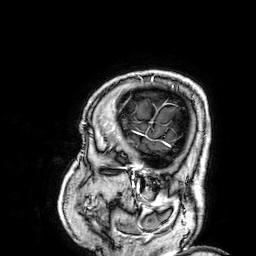
3 Tesla brain MRI. Series: 3D T1-weighted. Study: ring-enhancing brain masses.